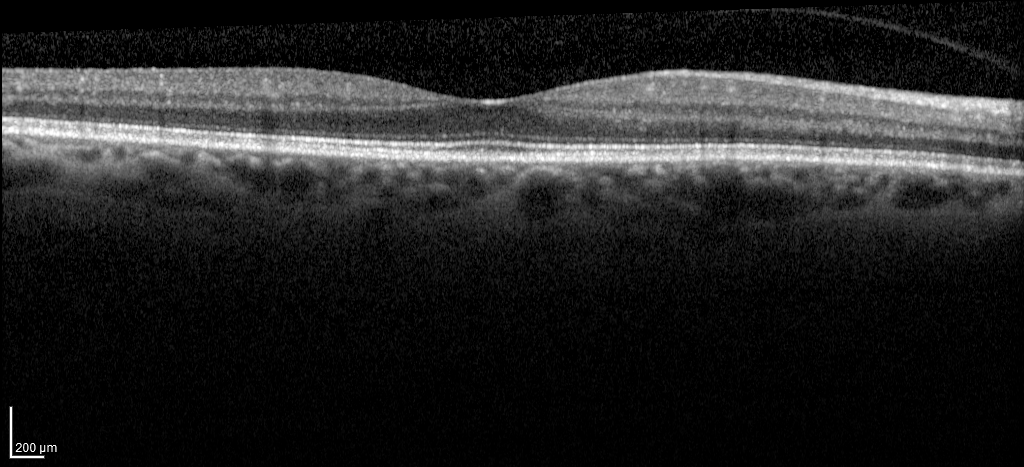
modality: spectral-domain optical coherence tomography (SD-OCT) of the macula
subject:
  sex: male
  age: 62
  eye: right eye
cohort: non-diabetic control
etdrs_thickness_um:
  central: 281
  inner_temporal: 324
  inner_nasal: 339
  inner_superior: 334
  inner_inferior: 336
  outer_temporal: 273
  outer_nasal: 296
  outer_superior: 292
  outer_inferior: 289